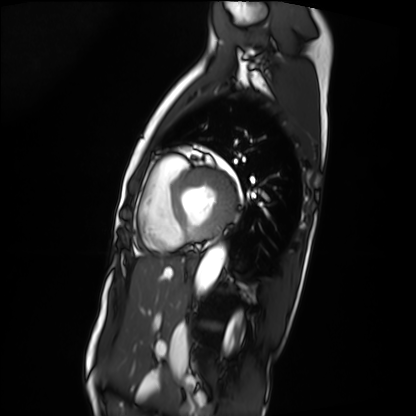
{
  "modality": "cardiac MRI",
  "cohort": "patient"
}